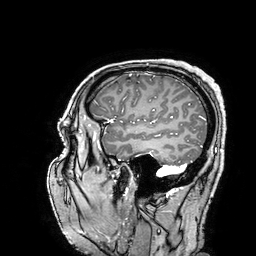
3 Tesla brain MRI.
Series: 3D T1-weighted turbo field echo with SENSE.
Study: ring-enhancing brain masses.